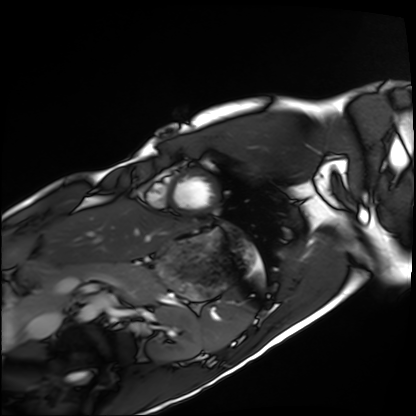
Summary:
Cardiac MRI. Subject group: healthy volunteer.